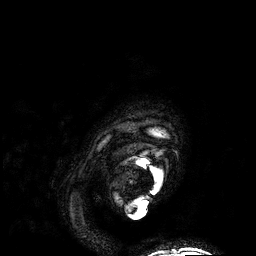
Summary: 3 Tesla brain MRI. Series: 3D T1-weighted. Study: ring-enhancing brain masses.